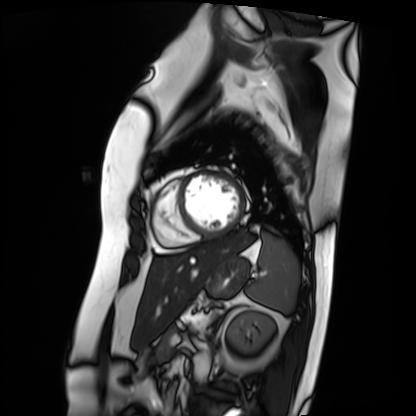
Cardiac MRI.
Subject group: patient.